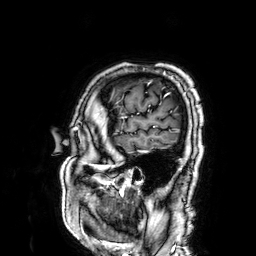
3 Tesla brain MRI.
Series: 3D T1-weighted.
Study: ring-enhancing brain masses.